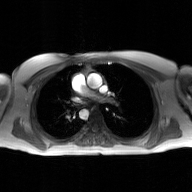
modality = 2D phase-contrast cine MRI of the ascending aorta, GAN super-resolution reconstruction.